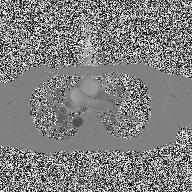
modality = 2D phase-contrast cine MRI of the ascending aorta.